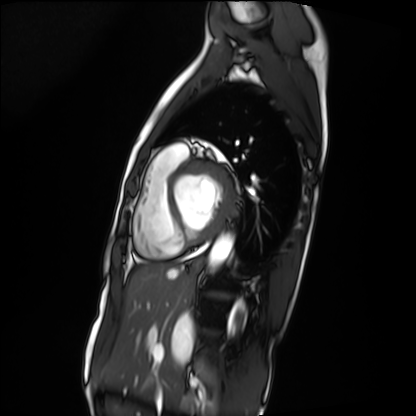
modality: cardiac MRI
subject group: patient